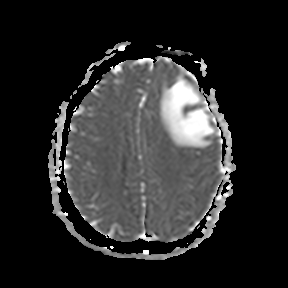
3 Tesla brain MRI. Series: apparent diffusion coefficient (ADC) map. Study: ring-enhancing brain masses.